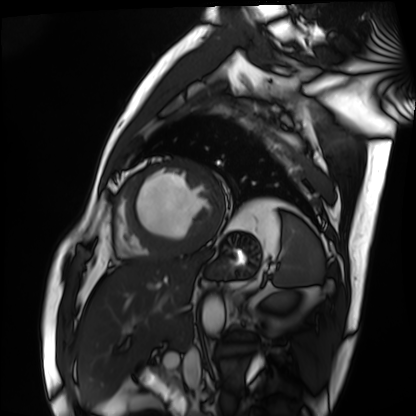
{"modality": "cardiac MRI", "cohort": "patient"}